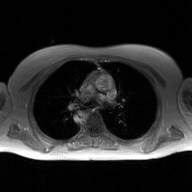
Summary: 2D phase-contrast cine MRI of the ascending aorta, GAN super-resolution reconstruction.